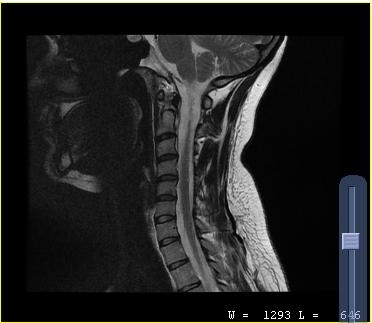
Clinical context:
MRI of the cervical spine. Study: cervical spondylosis.